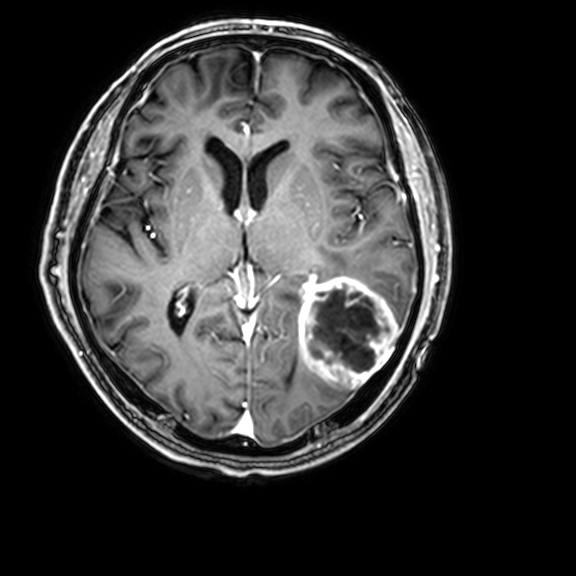
Case:
– modality — 3 Tesla brain MRI
– series — 3D T1-weighted with CLEAR
– study — ring-enhancing brain masses